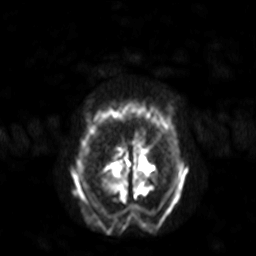
Q: What kind of scan is this?
A: 3 Tesla brain MRI.
Q: Series?
A: Diffusion-weighted imaging with SENSE (WIP).
Study: ring-enhancing brain masses.